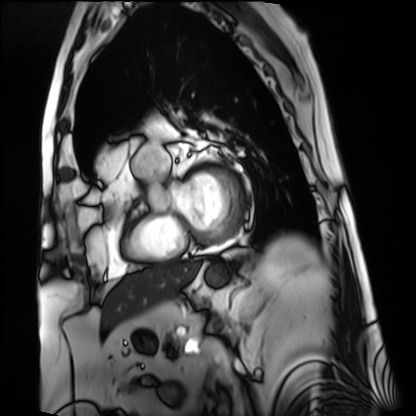
{"modality": "cardiac MRI", "cohort": "patient"}